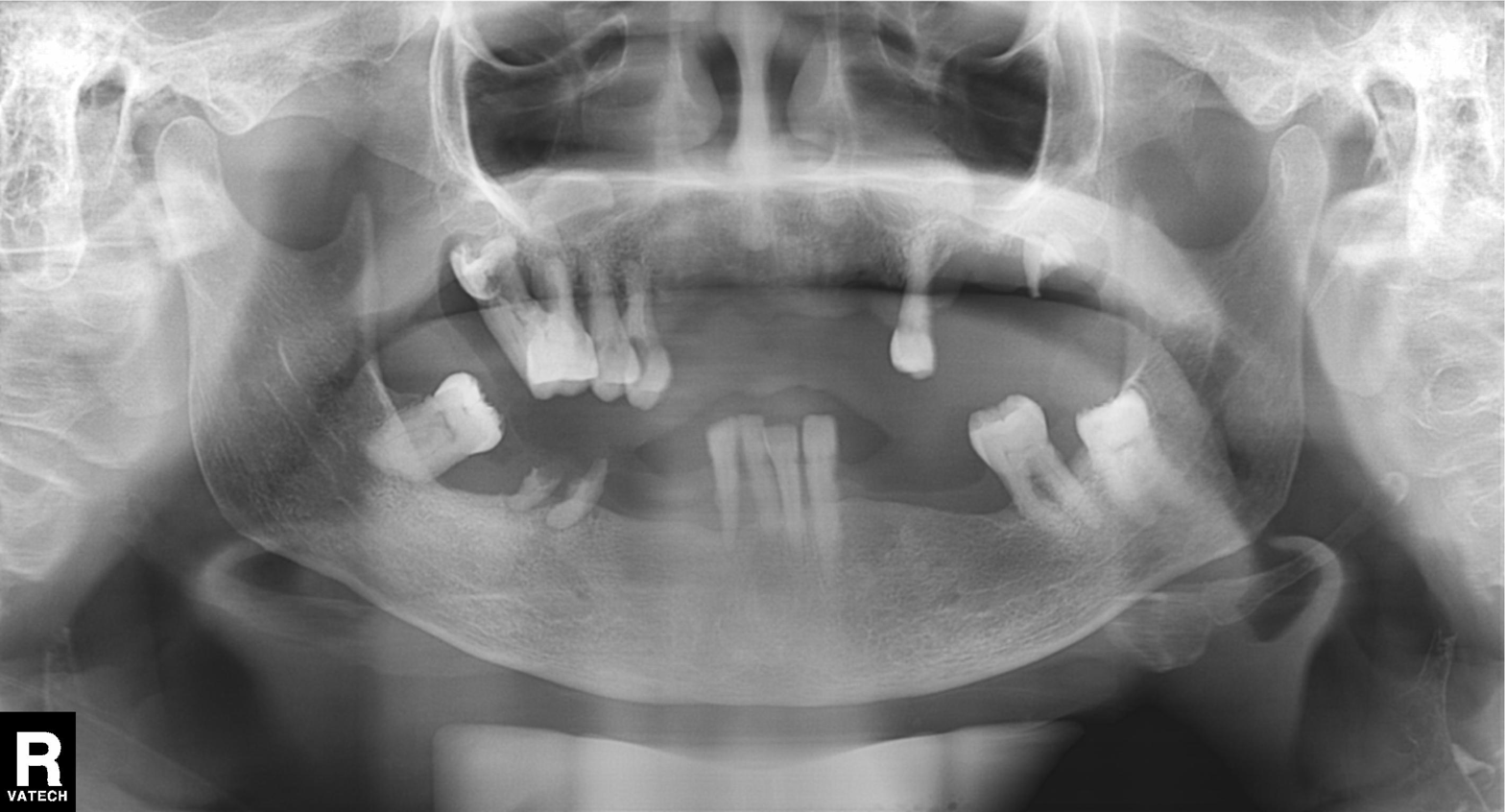
modality=panoramic dental radiograph (orthopantomogram); finding=tooth impaction.